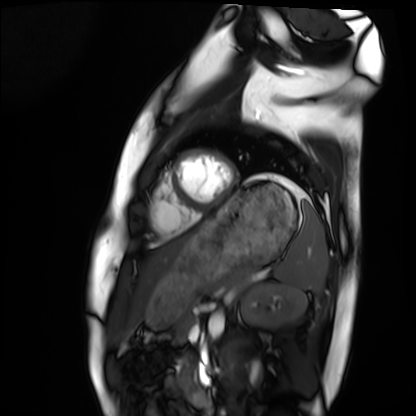
– modality · cardiac MRI
– subject group · healthy volunteer